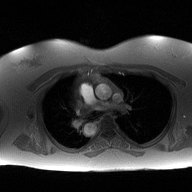
2D phase-contrast cine MRI of the ascending aorta, high-resolution GRAPPA acquisition.